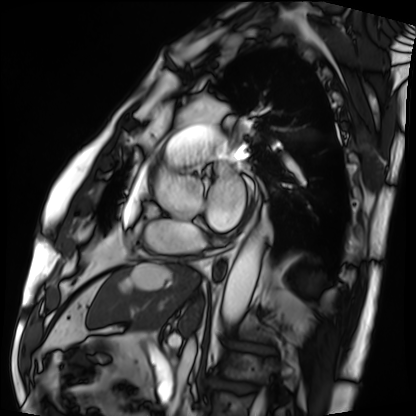
Case summary:
Cardiac MRI. Subject group: patient.